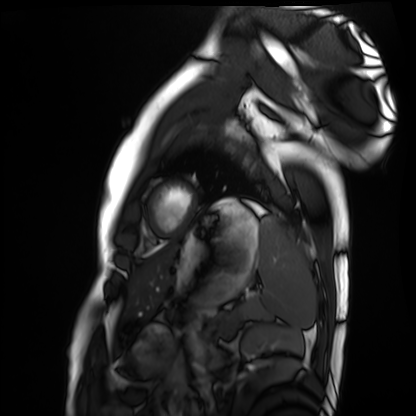
Cardiac MRI.
Subject group: healthy volunteer.